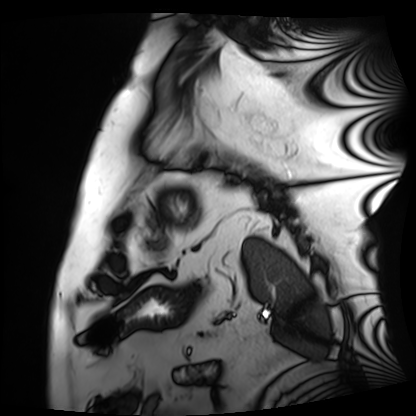
modality=cardiac MRI
subject group=patient